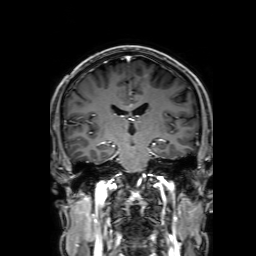
modality:
  type: brain MRI
  field_strength: 3T
series: 3D T1-weighted with SENSE
study_topic: ring-enhancing brain masses